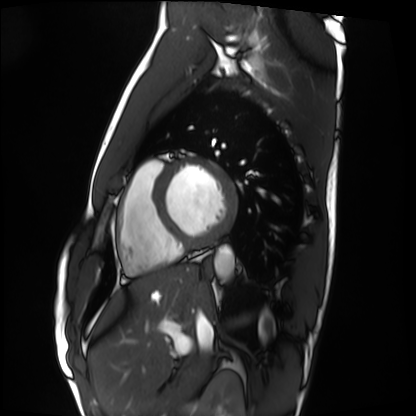
{"modality": "cardiac MRI", "cohort": "healthy volunteer"}